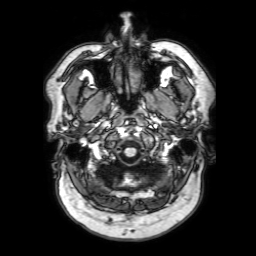
modality: 3 Tesla brain MRI; series: 3D T1-weighted with SENSE; study: ring-enhancing brain masses.